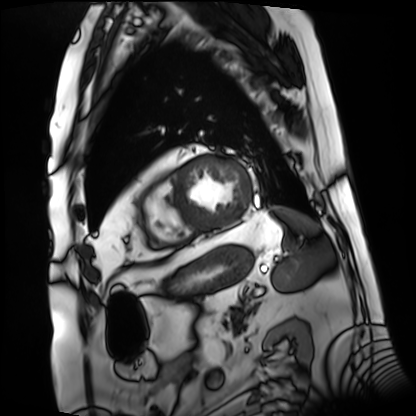
<case>
<modality>cardiac MRI</modality>
<cohort>patient</cohort>
</case>